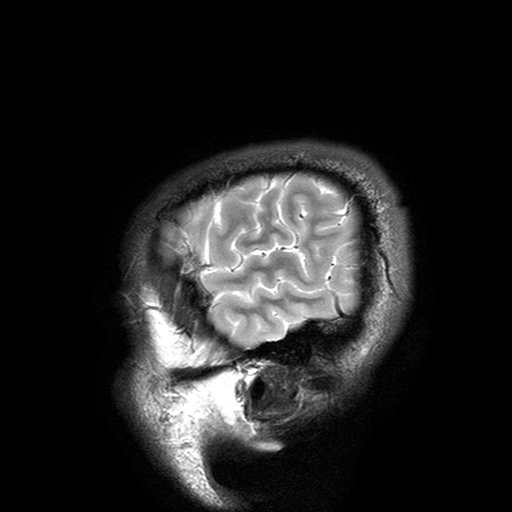
• modality · 3 Tesla brain MRI
• series · T2-weighted turbo spin echo with SENSE
• study · ring-enhancing brain masses